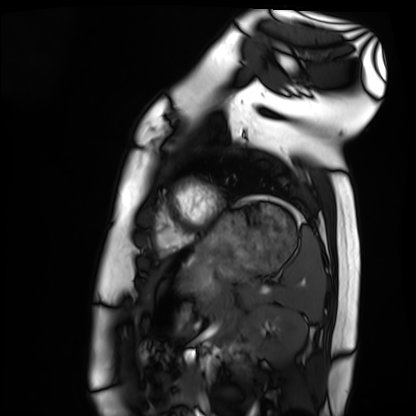
- modality — cardiac MRI
- subject group — healthy volunteer